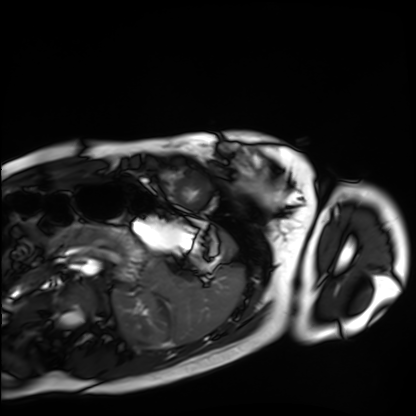
Case summary:
Cardiac MRI. Subject group: healthy volunteer.